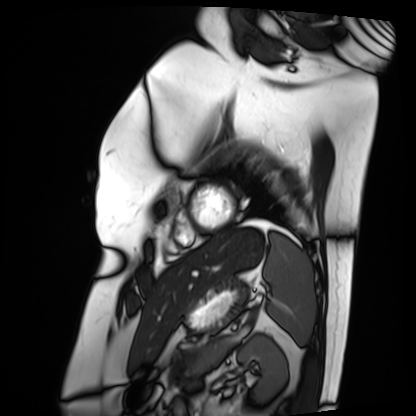
Cardiac MRI.
Subject group: patient.